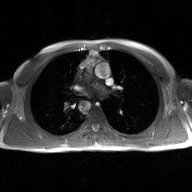
modality = 2D phase-contrast cine MRI of the ascending aorta, GAN super-resolution reconstruction.